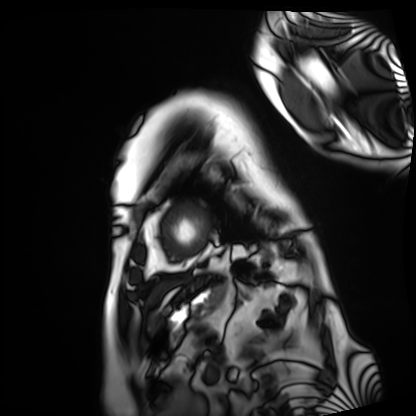
modality — cardiac MRI | subject group — patient.